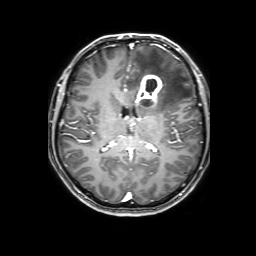
3 Tesla brain MRI.
Series: 3D T1-weighted with SENSE.
Study: ring-enhancing brain masses.